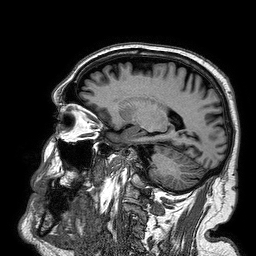
Summary:
3 Tesla brain MRI. Series: 3D T1-weighted turbo field echo. Study: ring-enhancing brain masses.